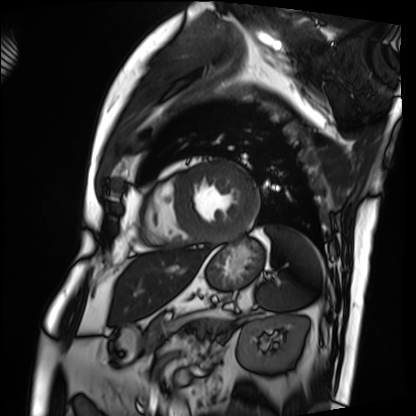
Q: What kind of scan is this?
A: Cardiac MRI.
Subject group: patient.